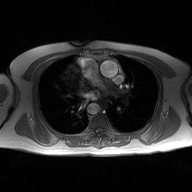
Clinical context: 2D phase-contrast cine MRI of the ascending aorta, high-resolution GRAPPA acquisition.